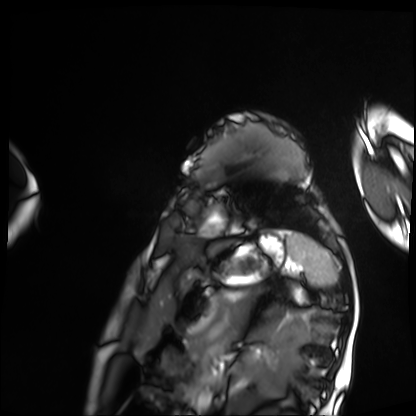
modality — cardiac MRI | subject group — patient.